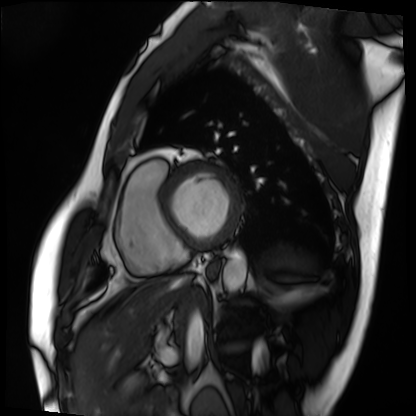
Summary:
Cardiac MRI. Subject group: patient.